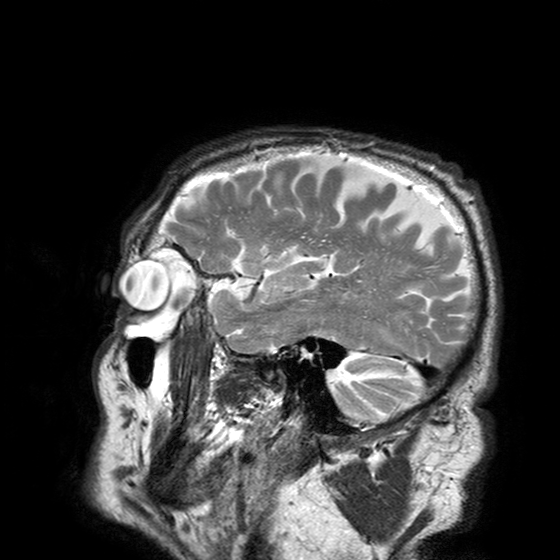
3 Tesla brain MRI.
Series: T2-weighted turbo spin echo with SENSE.
Study: ring-enhancing brain masses.